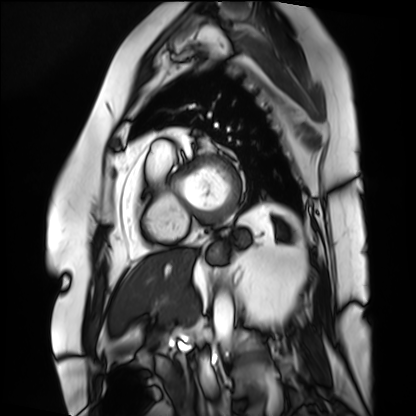
• modality · cardiac MRI
• subject group · patient